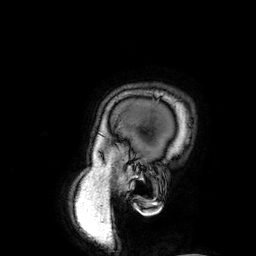
modality = 3 Tesla brain MRI; series = 3D T1-weighted; study = ring-enhancing brain masses.